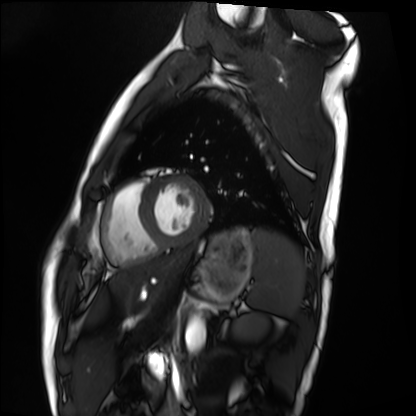
Summary: Cardiac MRI. Subject group: healthy volunteer.